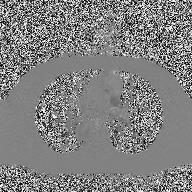
{"modality": {"type": "2D phase-contrast cine MRI", "region": "ascending aorta", "reconstruction": "high-resolution GRAPPA acquisition"}}